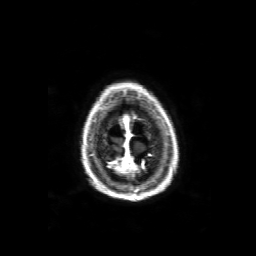
modality: 3 Tesla brain MRI
series: 3D T1-weighted with SENSE
study: ring-enhancing brain masses